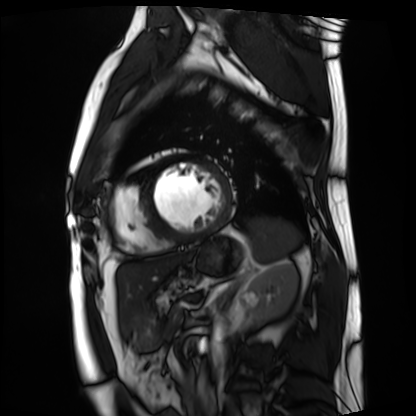
Clinical context: Cardiac MRI. Subject group: patient.